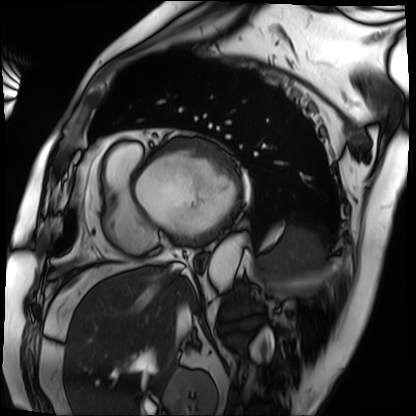
• modality · cardiac MRI
• subject group · patient